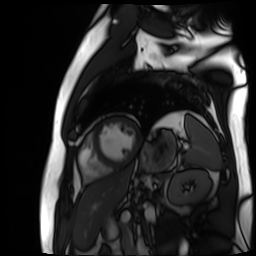
Cardiac MR image of the myocardium. Subject cohort: cardiac patient.